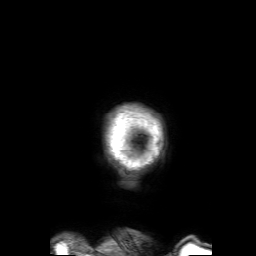
3 Tesla brain MRI. Series: 3D T1-weighted with SENSE. Study: ring-enhancing brain masses.